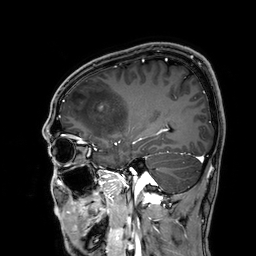
• modality — 3 Tesla brain MRI
• series — 3D T1-weighted
• study — ring-enhancing brain masses